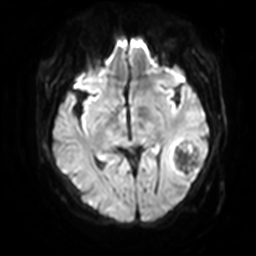
Summary:
3 Tesla brain MRI. Series: diffusion-weighted imaging with SENSE (WIP). Study: ring-enhancing brain masses.